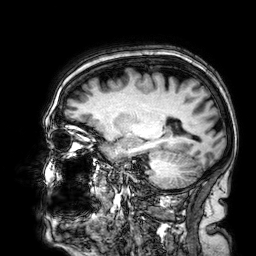
3 Tesla brain MRI. Series: 3D T1-weighted. Study: ring-enhancing brain masses.